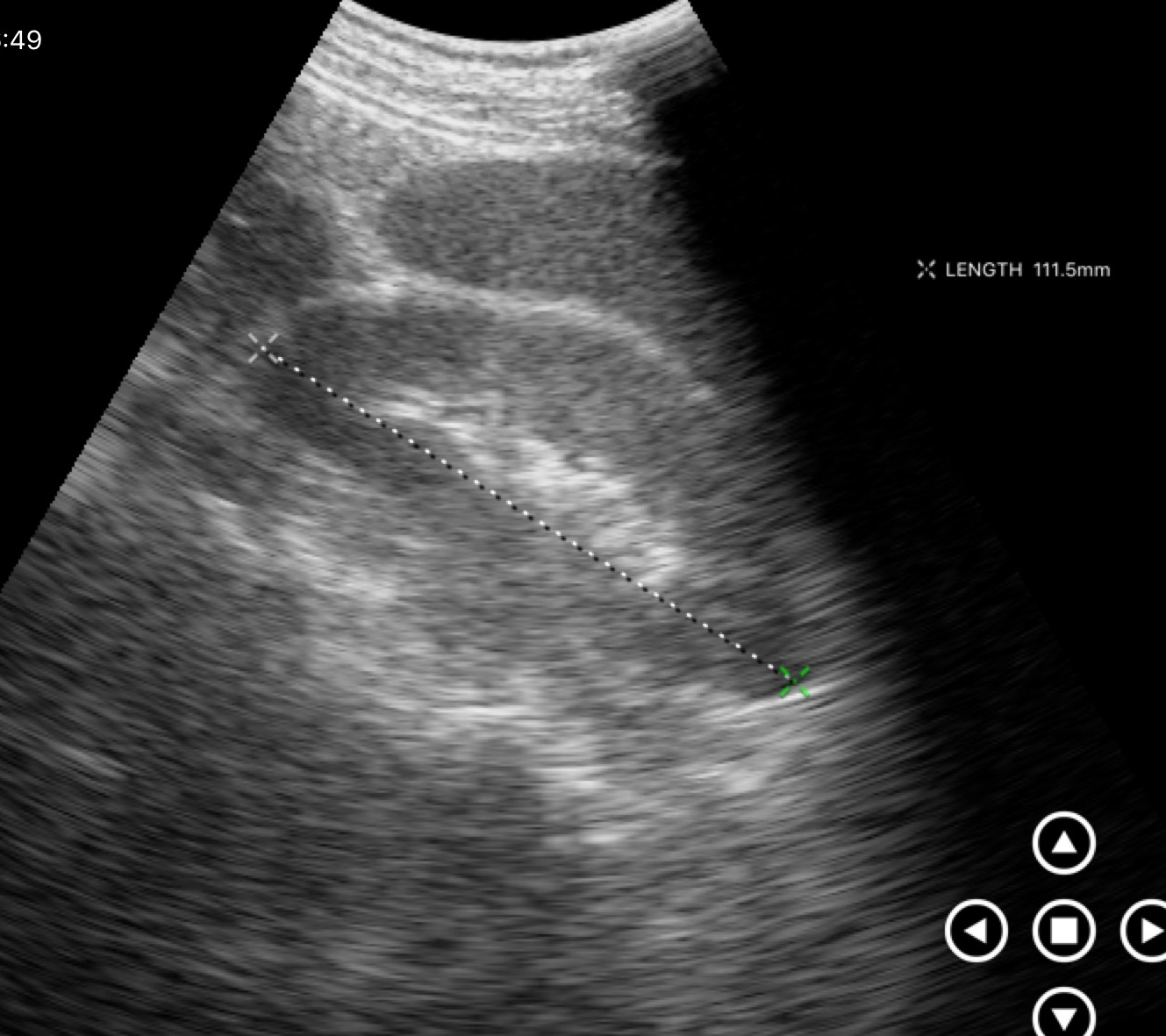
Summary:
Genitourinary ultrasound.